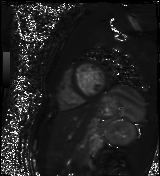
Cardiac MR image of the myocardium.
Subject cohort: healthy volunteer.